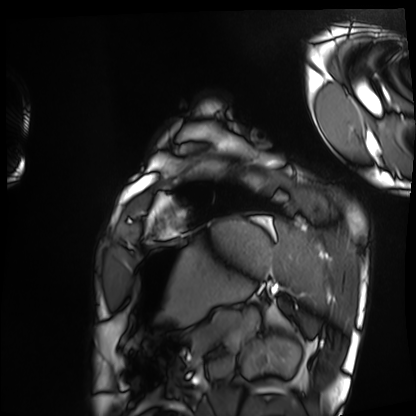
Summary: Cardiac MRI. Subject group: healthy volunteer.